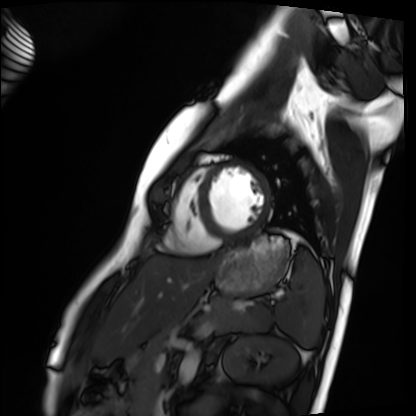
Cardiac MRI. Subject group: healthy volunteer.